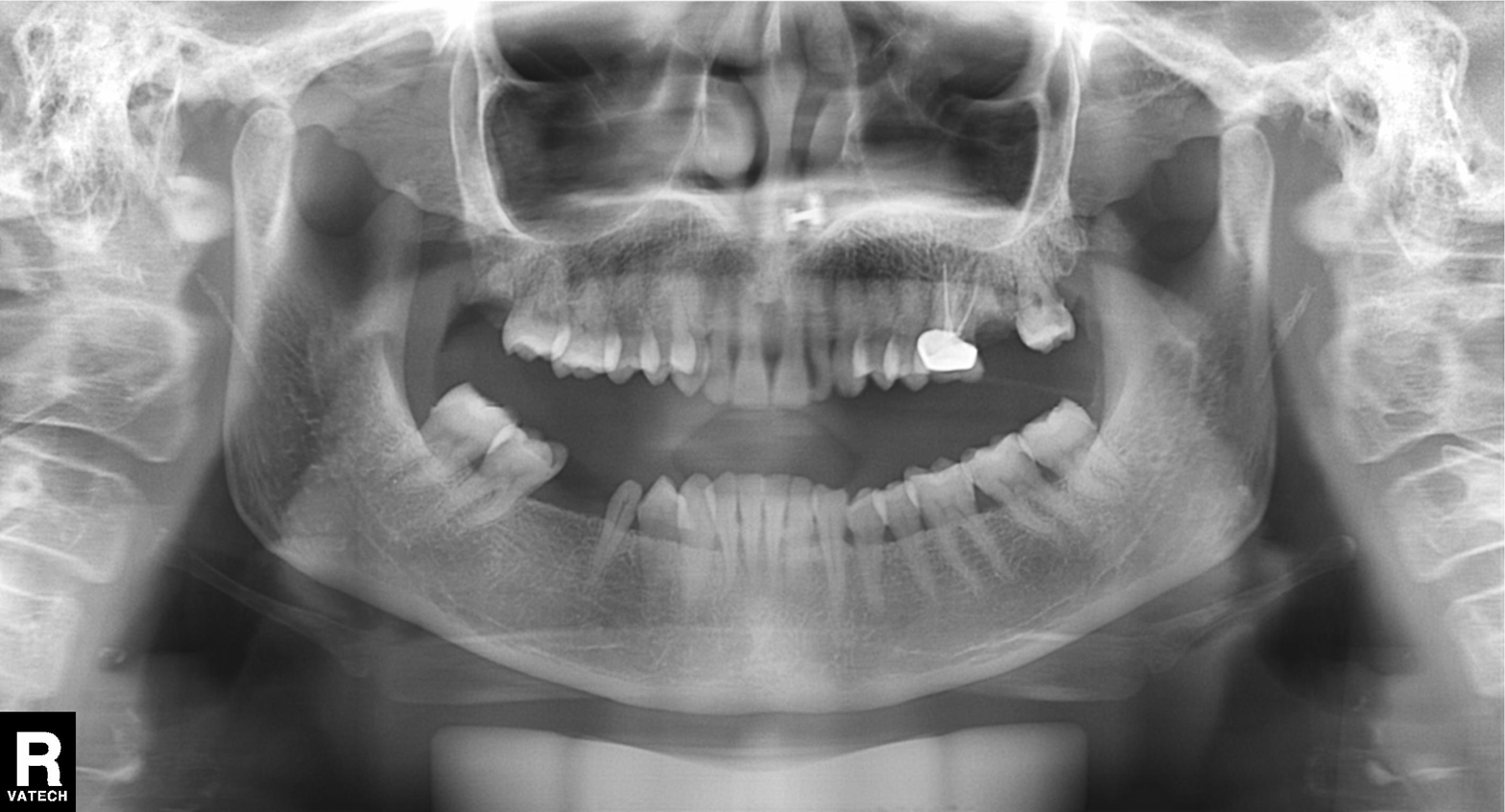
Panoramic dental radiograph (orthopantomogram). Finding: dental caries (cavities).